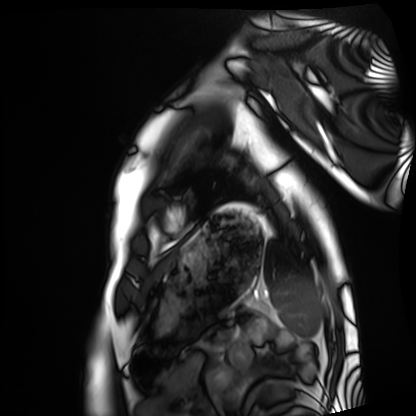
| field | value |
|---|---|
| modality | cardiac MRI |
| subject group | healthy volunteer |